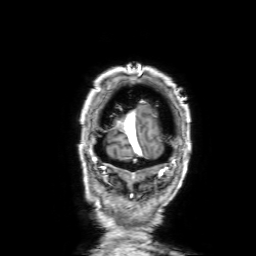
modality: 3 Tesla brain MRI | series: 3D T1-weighted with SENSE | study: ring-enhancing brain masses.